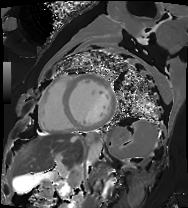
  modality: cardiac MRI
  cohort: patient